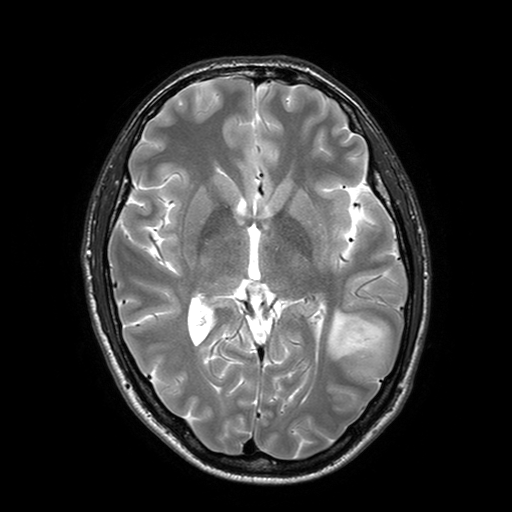
Summary:
3 Tesla brain MRI. Series: T2-weighted turbo spin echo with SENSE. Study: ring-enhancing brain masses.